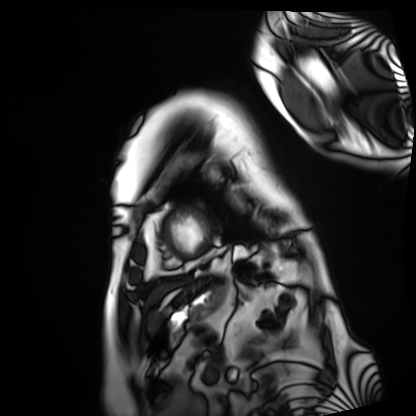
{"modality": "cardiac MRI", "cohort": "patient"}